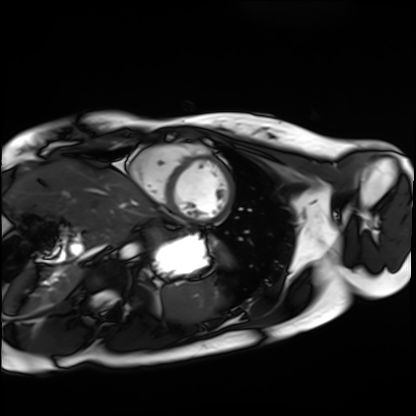
<scan>
  <modality>cardiac MRI</modality>
  <cohort>healthy volunteer</cohort>
</scan>